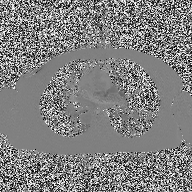
modality: 2D phase-contrast cine MRI of the ascending aorta.